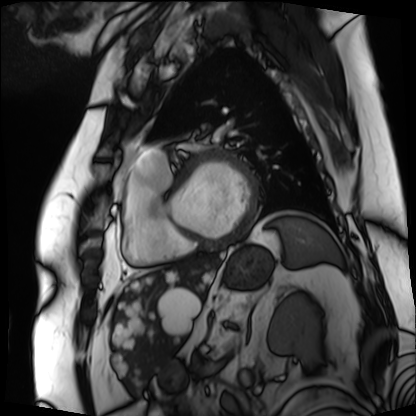
modality: cardiac MRI | subject group: patient.